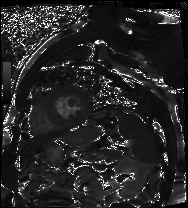
Cardiac MR image of the myocardium. Subject cohort: cardiac patient.